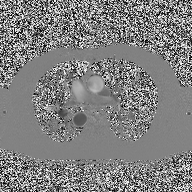
{
  "modality": {
    "type": "2D phase-contrast cine MRI",
    "region": "ascending aorta",
    "reconstruction": "high-resolution GRAPPA acquisition"
  }
}